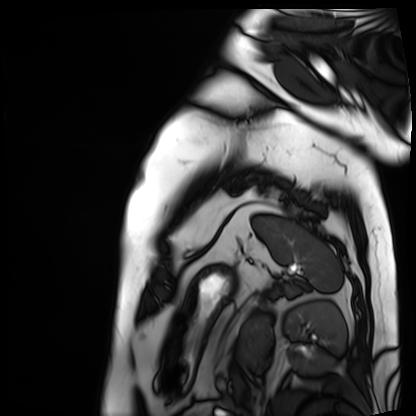
{"modality": "cardiac MRI", "cohort": "patient"}